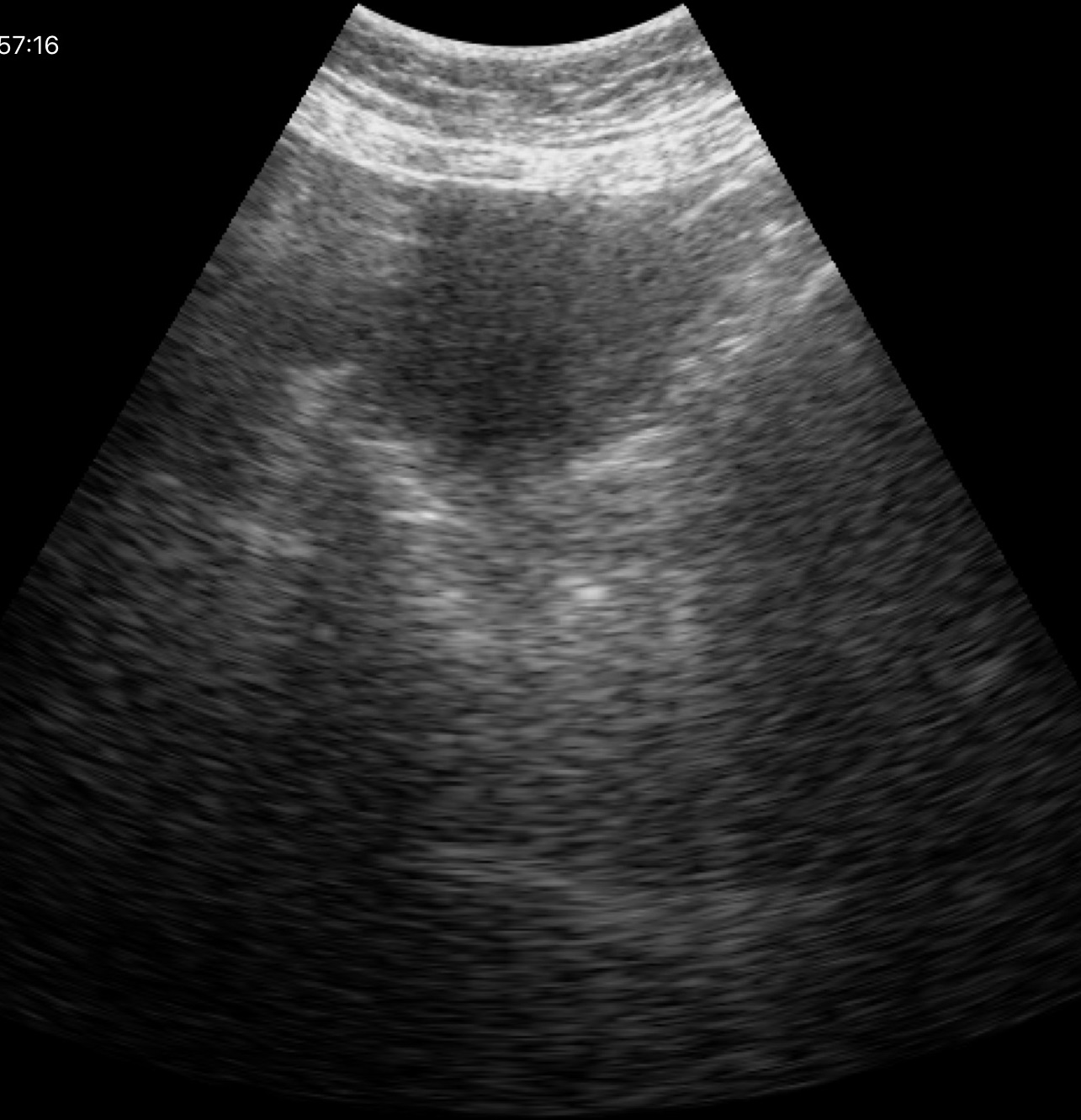
<record>
  <modality>
    <type>genitourinary ultrasound</type>
  </modality>
</record>